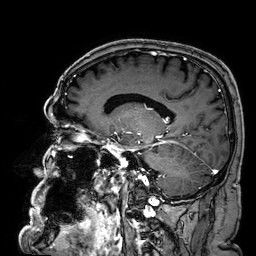
{"modality": {"type": "brain MRI", "field_strength": "3T"}, "series": "3D T1-weighted", "study_topic": "ring-enhancing brain masses"}